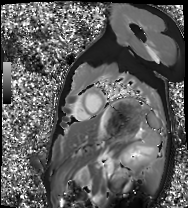
Cardiac MRI. Subject group: healthy volunteer.